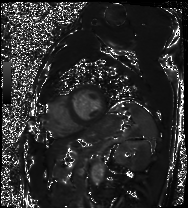
Cardiac MRI. Subject group: patient.